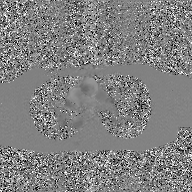
2D phase-contrast cine MRI of the ascending aorta, GAN super-resolution reconstruction.